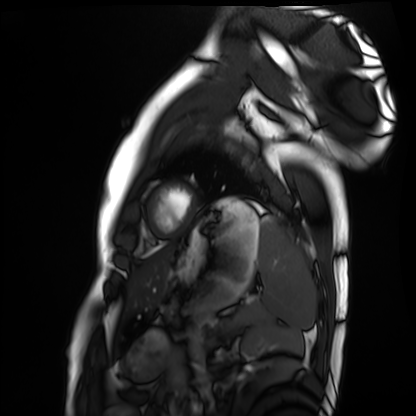
modality=cardiac MRI | subject group=healthy volunteer.